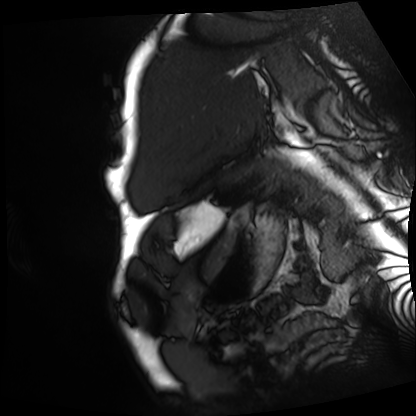
| field | value |
|---|---|
| modality | cardiac MRI |
| subject group | patient |